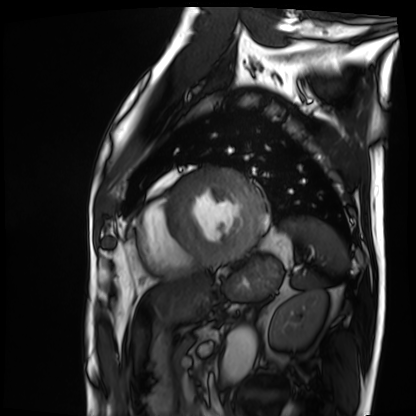
Summary: Cardiac MRI. Subject group: patient.